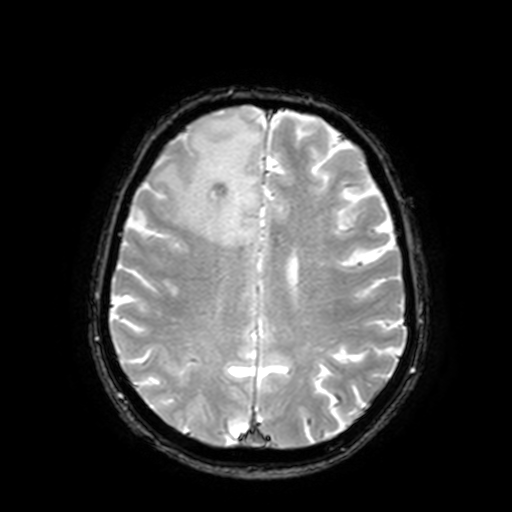
3 Tesla brain MRI. Series: T2-weighted fast field echo with SENSE. Study: ring-enhancing brain masses.